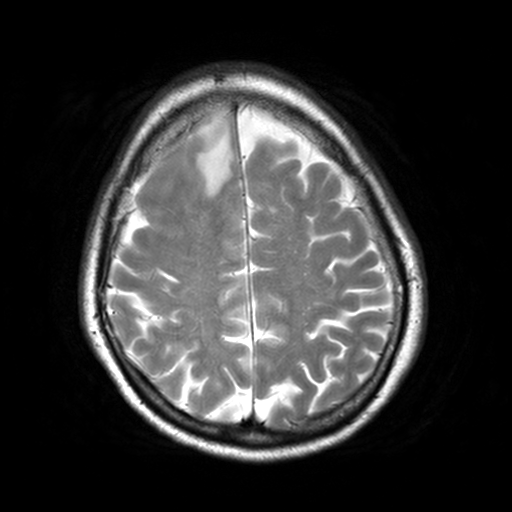
modality: 3 Tesla brain MRI; series: T2-weighted turbo spin echo, 3 mm; study: ring-enhancing brain masses.